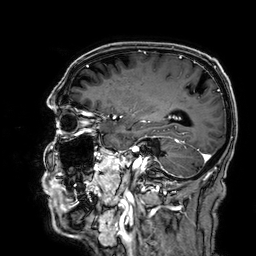
modality=3 Tesla brain MRI; series=3D T1-weighted; study=ring-enhancing brain masses.